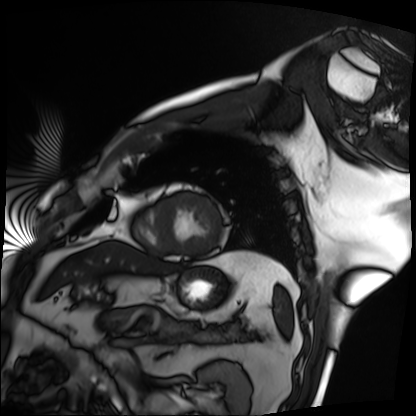
{
  "modality": "cardiac MRI",
  "cohort": "patient"
}